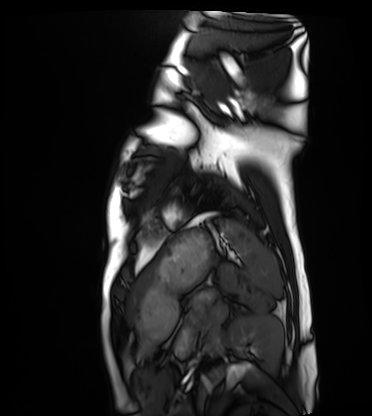
Cardiac MRI. Subject group: healthy volunteer.